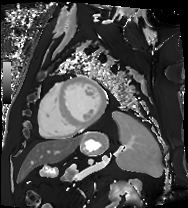
modality = cardiac MRI, subject group = patient.